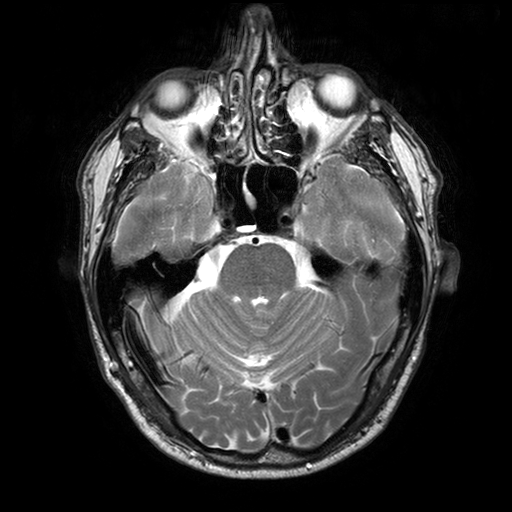
{
  "modality": {
    "type": "brain MRI",
    "field_strength": "3T"
  },
  "series": "T2-weighted turbo spin echo with SENSE",
  "study_topic": "ring-enhancing brain masses"
}